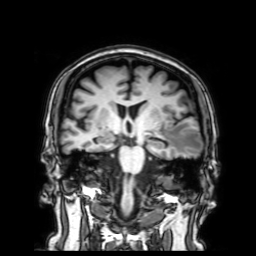
Summary:
3 Tesla brain MRI. Series: 3D T1-weighted with SENSE. Study: ring-enhancing brain masses.